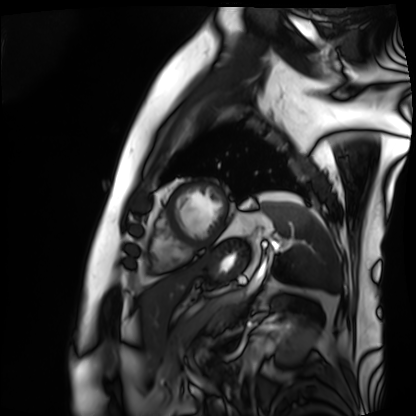
Cardiac MRI. Subject group: patient.